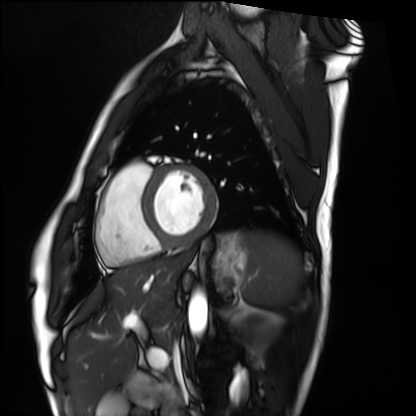
Cardiac MRI.
Subject group: healthy volunteer.